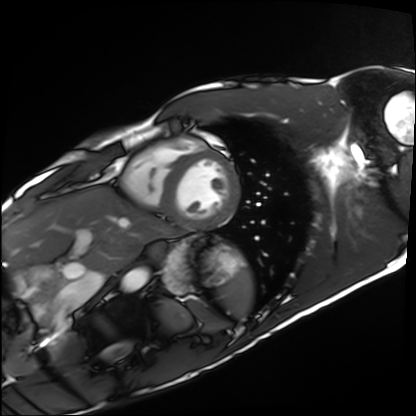
Cardiac MRI. Subject group: healthy volunteer.